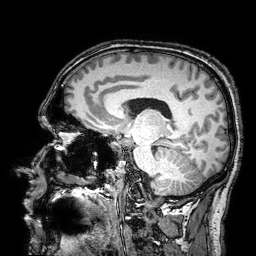
modality=3 Tesla brain MRI | series=3D T1-weighted turbo field echo with SENSE | study=ring-enhancing brain masses.